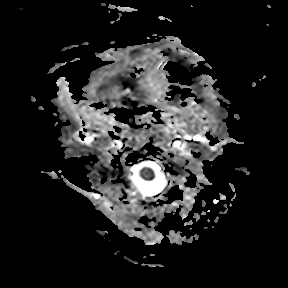
3 Tesla brain MRI.
Series: apparent diffusion coefficient (ADC) map.
Study: ring-enhancing brain masses.